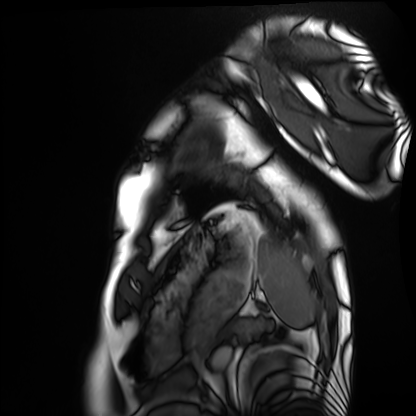
Cardiac MRI. Subject group: healthy volunteer.